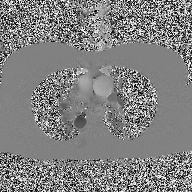
Q: What kind of scan is this?
A: 2D phase-contrast cine MRI of the ascending aorta.